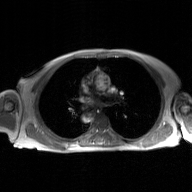
Case summary:
2D phase-contrast cine MRI of the ascending aorta, GAN super-resolution reconstruction.